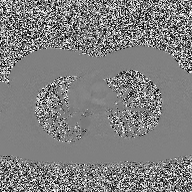
2D phase-contrast cine MRI of the ascending aorta, high-resolution GRAPPA acquisition.